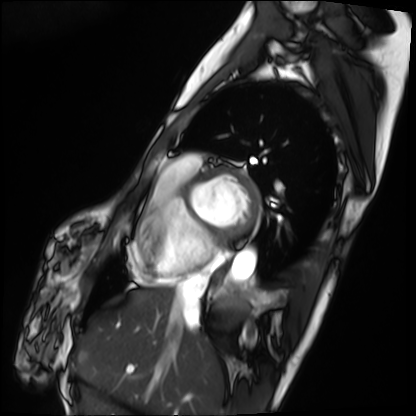
Q: What kind of scan is this?
A: Cardiac MRI.
Subject group: patient.